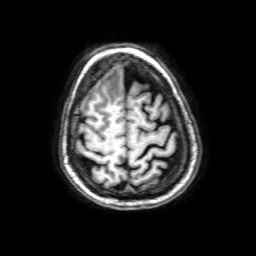
Case summary:
3 Tesla brain MRI. Series: 3D T1-weighted with SENSE. Study: ring-enhancing brain masses.